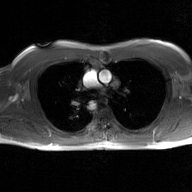
modality = 2D phase-contrast cine MRI of the ascending aorta, GAN super-resolution reconstruction